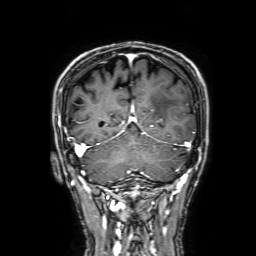
Case summary:
3 Tesla brain MRI. Series: 3D T1-weighted with SENSE. Study: ring-enhancing brain masses.